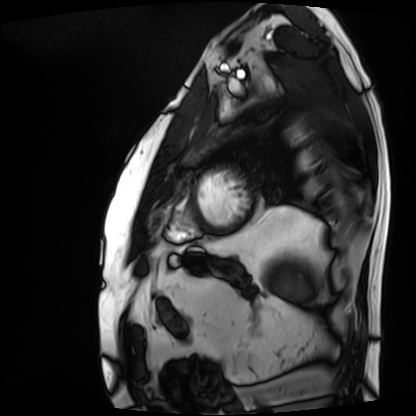
Summary:
Cardiac MRI. Subject group: patient.